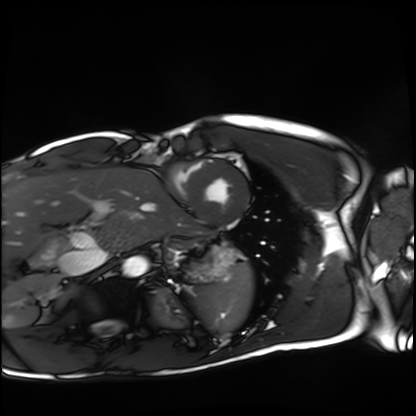
modality: cardiac MRI | subject group: healthy volunteer.